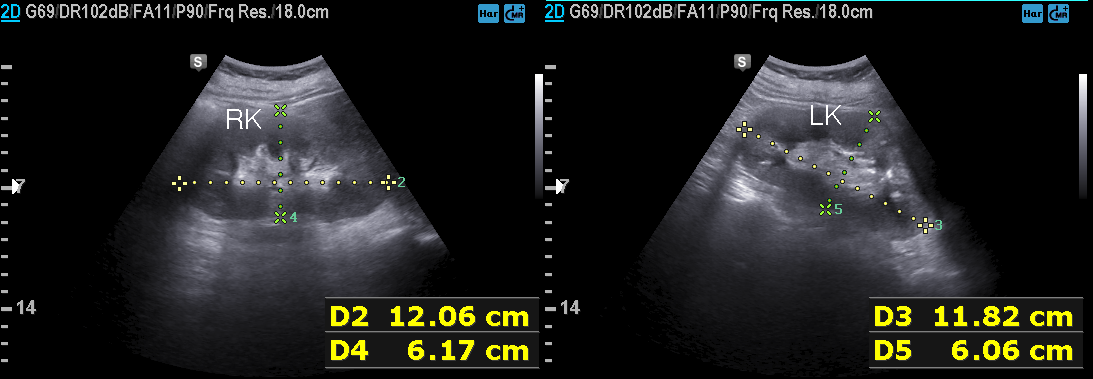
Genitourinary ultrasound.